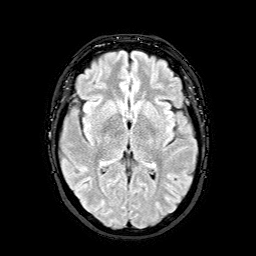
3 Tesla brain MRI. Study: ring-enhancing brain masses.